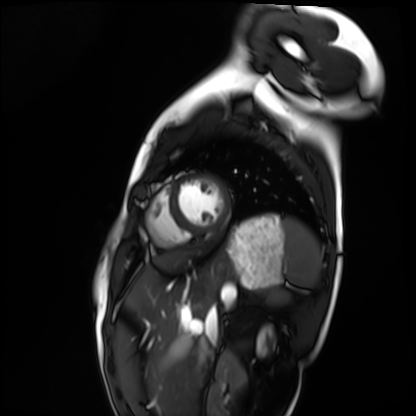
modality: cardiac MRI; subject group: healthy volunteer.